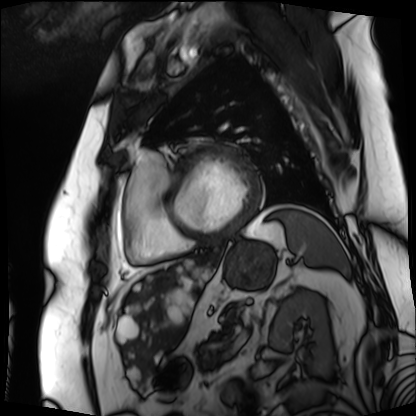
Cardiac MRI. Subject group: patient.